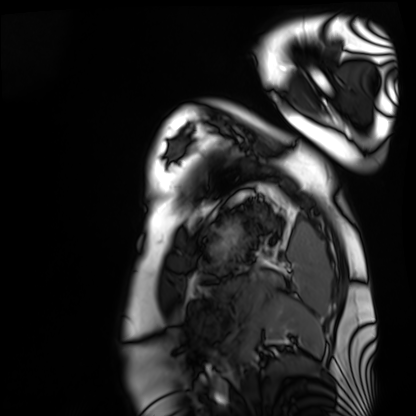
| field | value |
|---|---|
| modality | cardiac MRI |
| subject group | healthy volunteer |